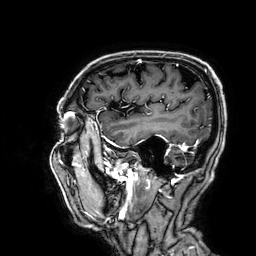
Case summary: 3 Tesla brain MRI. Series: 3D T1-weighted. Study: ring-enhancing brain masses.